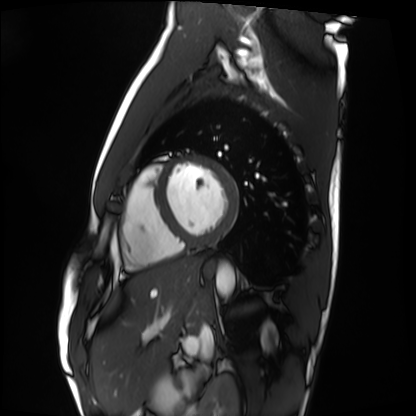
Cardiac MRI.
Subject group: healthy volunteer.